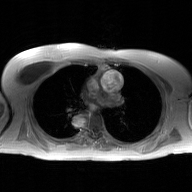
2D phase-contrast cine MRI of the ascending aorta, GAN super-resolution reconstruction.